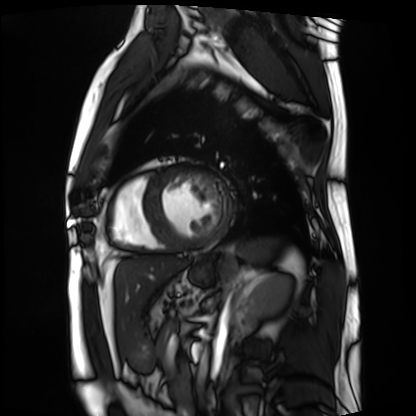
Cardiac MRI. Subject group: patient.